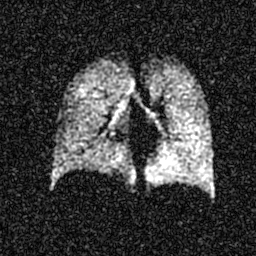
Hyperpolarized 129Xe ventilation MRI of the lungs. SNR level 5 of 8 (the deposit holds this scan as its native image and as seven SNR-degraded versions).